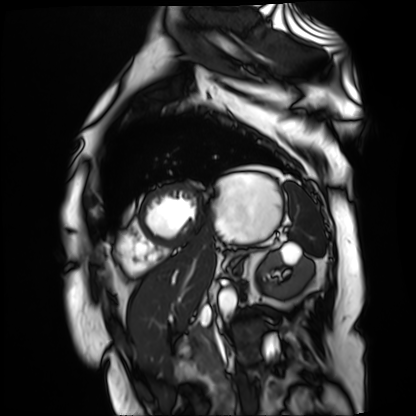
modality=cardiac MR image of the myocardium
subject cohort=cardiac patient